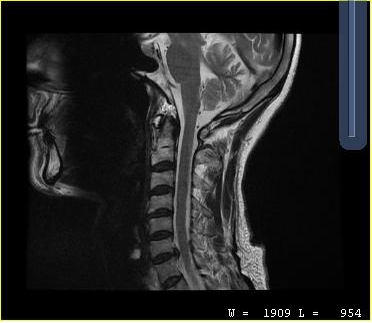
Q: What kind of scan is this?
A: MRI of the cervical spine.
Study: cervical spondylosis.